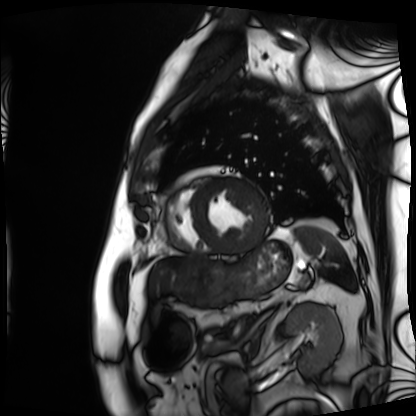
modality: cardiac MRI
cohort: patient